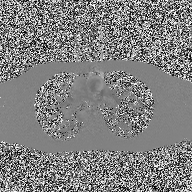
modality = 2D phase-contrast cine MRI of the ascending aorta